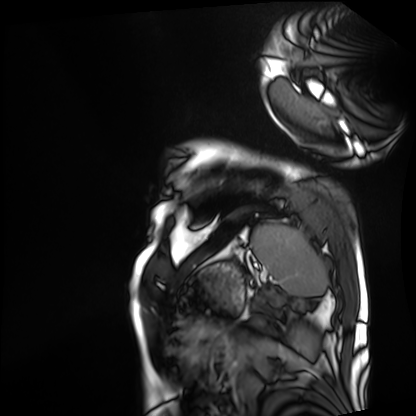
| field | value |
|---|---|
| modality | cardiac MRI |
| subject group | patient |